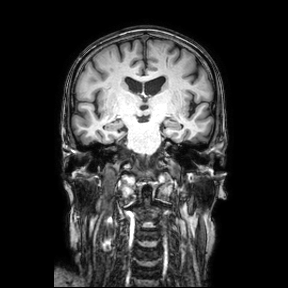
modality: 3 Tesla brain MRI | series: coronal | study: ring-enhancing brain masses.